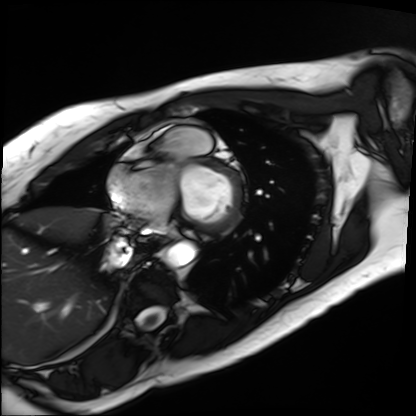
• modality — cardiac MRI
• subject group — patient